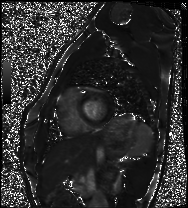
Case:
* modality — cardiac MRI
* subject group — healthy volunteer